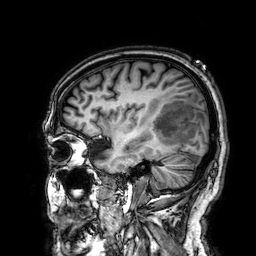
{"modality": {"type": "brain MRI", "field_strength": "3T"}, "series": "3D T1-weighted", "study_topic": "ring-enhancing brain masses"}